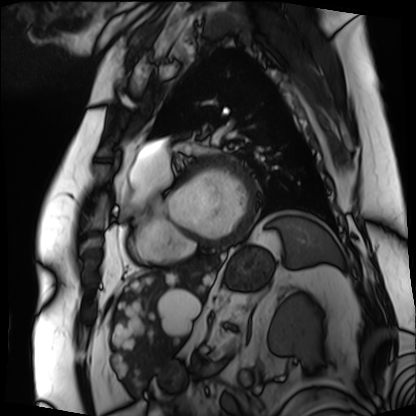
Cardiac MRI. Subject group: patient.